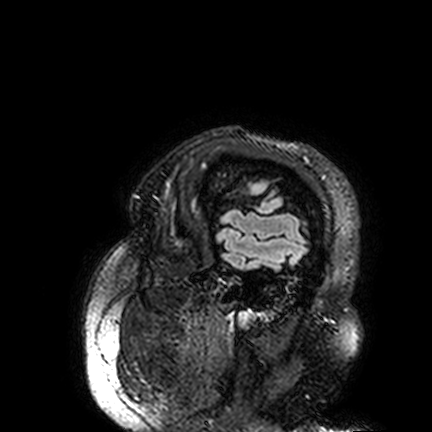
3 Tesla brain MRI.
Series: FLAIR VISTA.
Study: ring-enhancing brain masses.